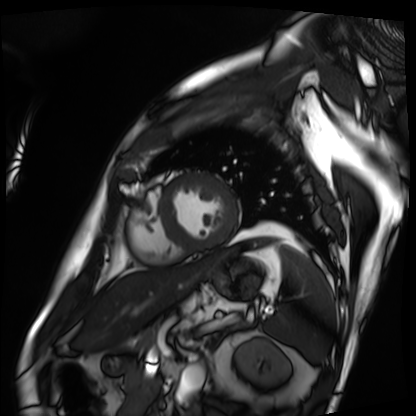
Summary:
Cardiac MRI. Subject group: patient.